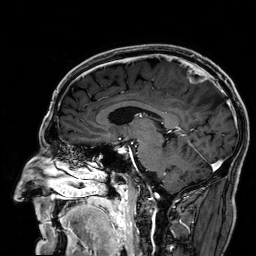
3 Tesla brain MRI.
Series: 3D T1-weighted.
Study: ring-enhancing brain masses.